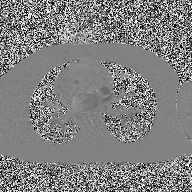
modality: 2D phase-contrast cine MRI of the ascending aorta